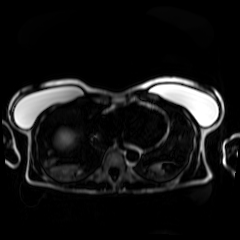
Summary:
Chemical-shift-encoded cardiac MRI.